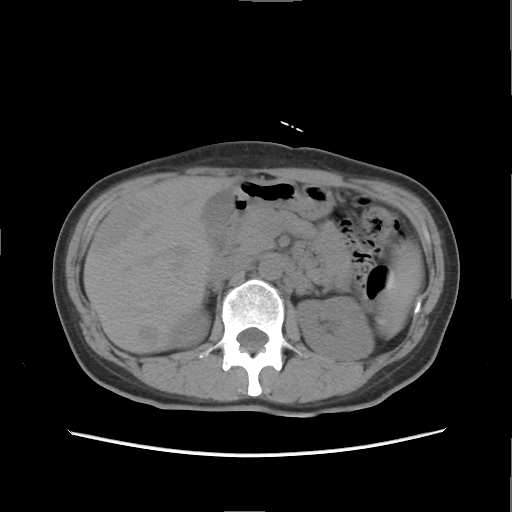
  modality:
    type: multiphase abdominal CT
    region: liver
    phase: non-contrast
  patient:
    sex: female
    age: 47